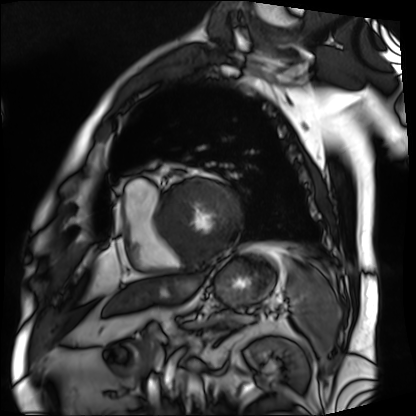
Cardiac MRI. Subject group: patient.